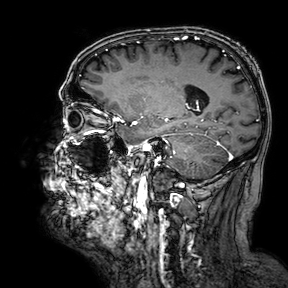
3 Tesla brain MRI.
Study: ring-enhancing brain masses.